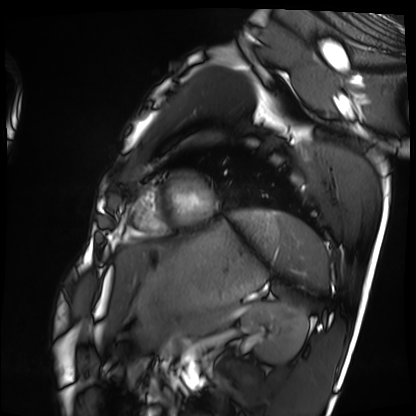
Q: What kind of scan is this?
A: Cardiac MRI.
Subject group: healthy volunteer.